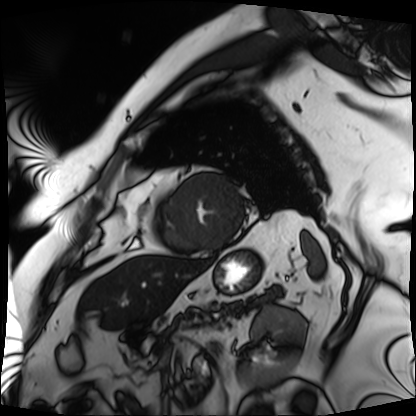
Case:
* modality — cardiac MRI
* subject group — patient